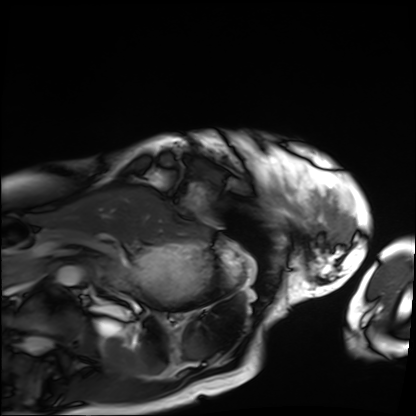
<scan>
  <modality>cardiac MRI</modality>
  <cohort>patient</cohort>
</scan>